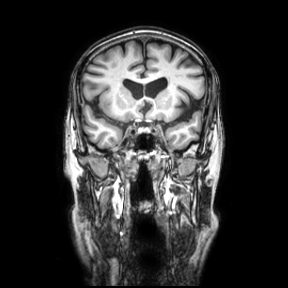
Q: What kind of scan is this?
A: 3 Tesla brain MRI.
Q: Series?
A: Coronal.
Study: ring-enhancing brain masses.